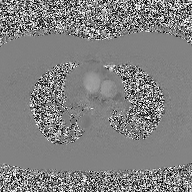
2D phase-contrast cine MRI of the ascending aorta, high-resolution GRAPPA acquisition.